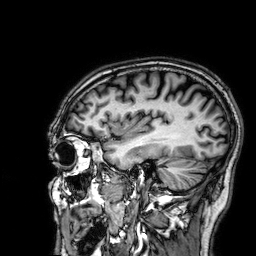
modality:
  type: brain MRI
  field_strength: 3T
series: 3D T1-weighted
study_topic: ring-enhancing brain masses